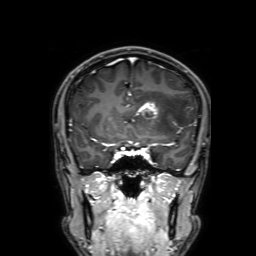
modality: 3 Tesla brain MRI | study: ring-enhancing brain masses.